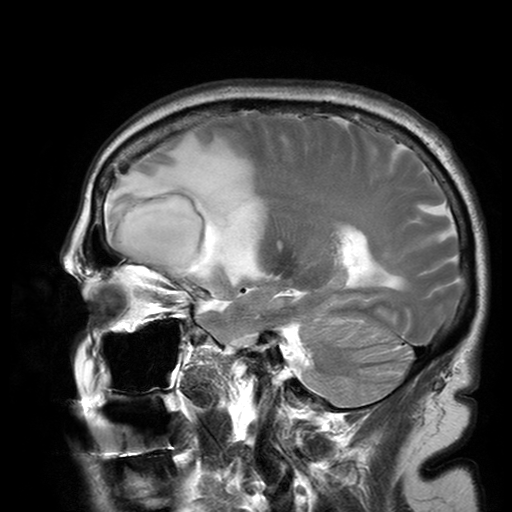
Summary: 3 Tesla brain MRI. Series: T2-weighted turbo spin echo with SENSE. Study: ring-enhancing brain masses.